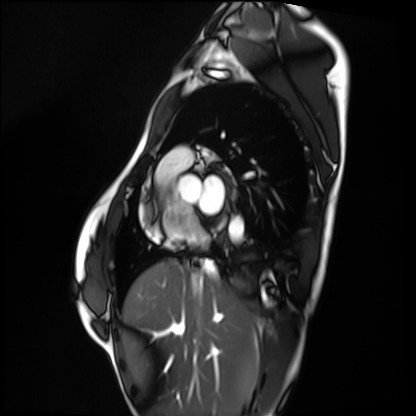
• modality · cardiac MRI
• subject group · healthy volunteer